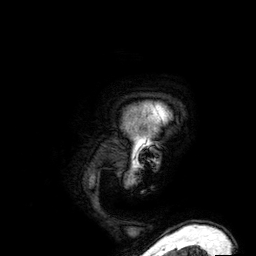
3 Tesla brain MRI. Series: 3D T1-weighted. Study: ring-enhancing brain masses.